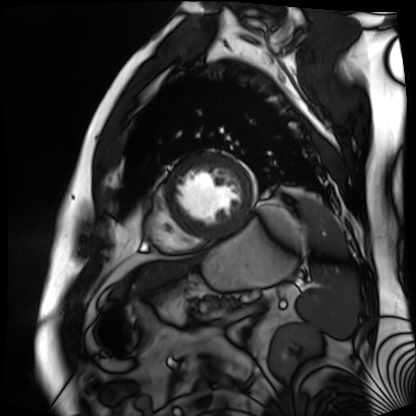
Cardiac MR image of the myocardium. Subject cohort: cardiac patient.